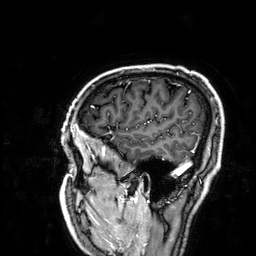
modality — 3 Tesla brain MRI
series — 3D T1-weighted
study — ring-enhancing brain masses